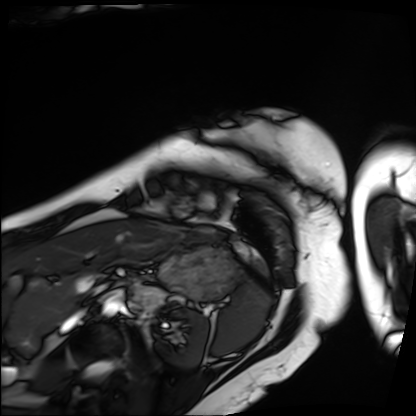
{
  "modality": "cardiac MRI",
  "cohort": "patient"
}